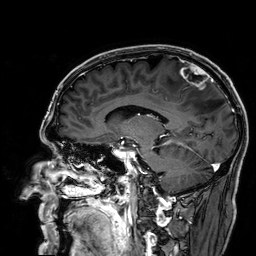
Case summary:
3 Tesla brain MRI. Series: 3D T1-weighted. Study: ring-enhancing brain masses.